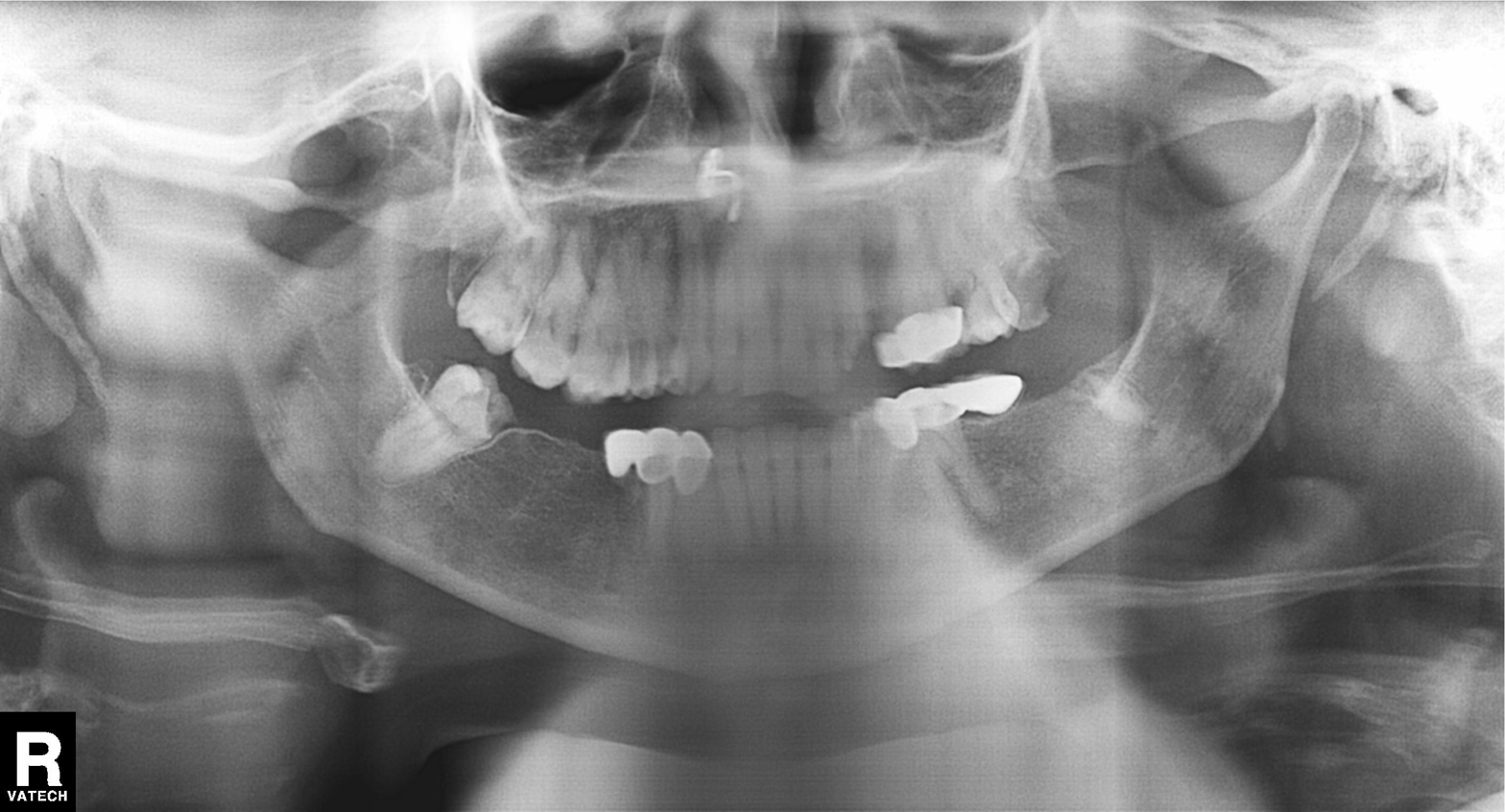
Summary:
Panoramic dental radiograph (orthopantomogram).
Diagnosis:
Dental caries (cavities).